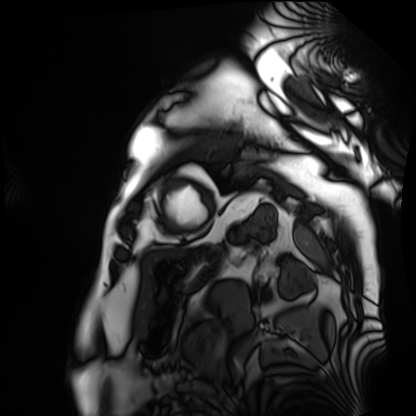
Cardiac MRI. Subject group: patient.